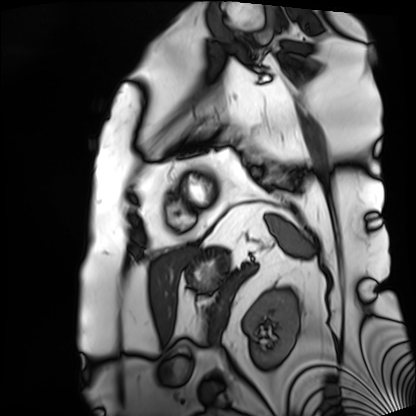
Cardiac MRI.
Subject group: patient.